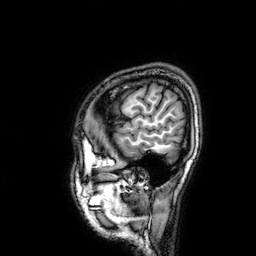
Q: What kind of scan is this?
A: 3 Tesla brain MRI.
Q: Series?
A: 3D T1-weighted.
Study: ring-enhancing brain masses.